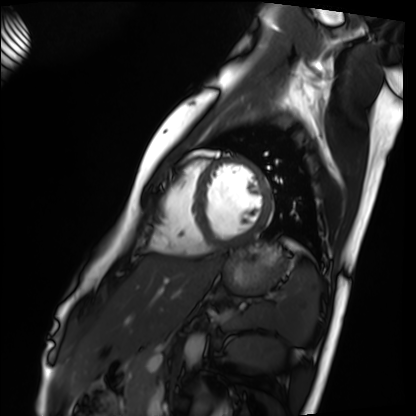
Cardiac MRI. Subject group: healthy volunteer.